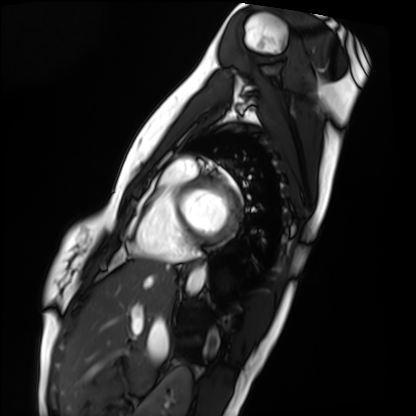
| field | value |
|---|---|
| modality | cardiac MRI |
| subject group | healthy volunteer |